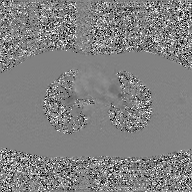
2D phase-contrast cine MRI of the ascending aorta, GAN super-resolution reconstruction.